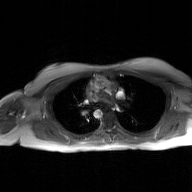
{
  "modality": {
    "type": "2D phase-contrast cine MRI",
    "region": "ascending aorta",
    "reconstruction": "GAN super-resolution reconstruction"
  }
}